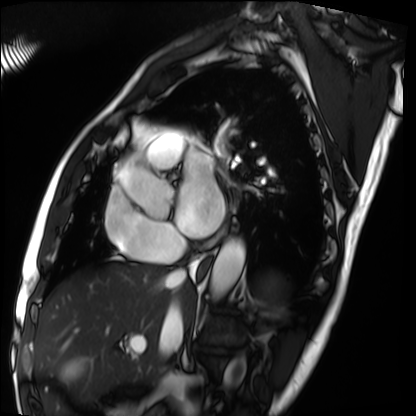
<record>
<modality>cardiac MRI</modality>
<cohort>patient</cohort>
</record>